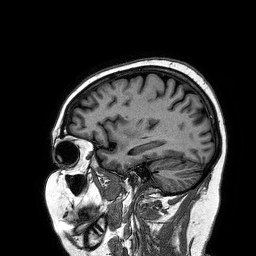
* modality · 3 Tesla brain MRI
* series · 3D T1-weighted turbo field echo
* study · ring-enhancing brain masses